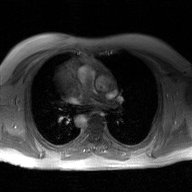
2D phase-contrast cine MRI of the ascending aorta, GAN super-resolution reconstruction.